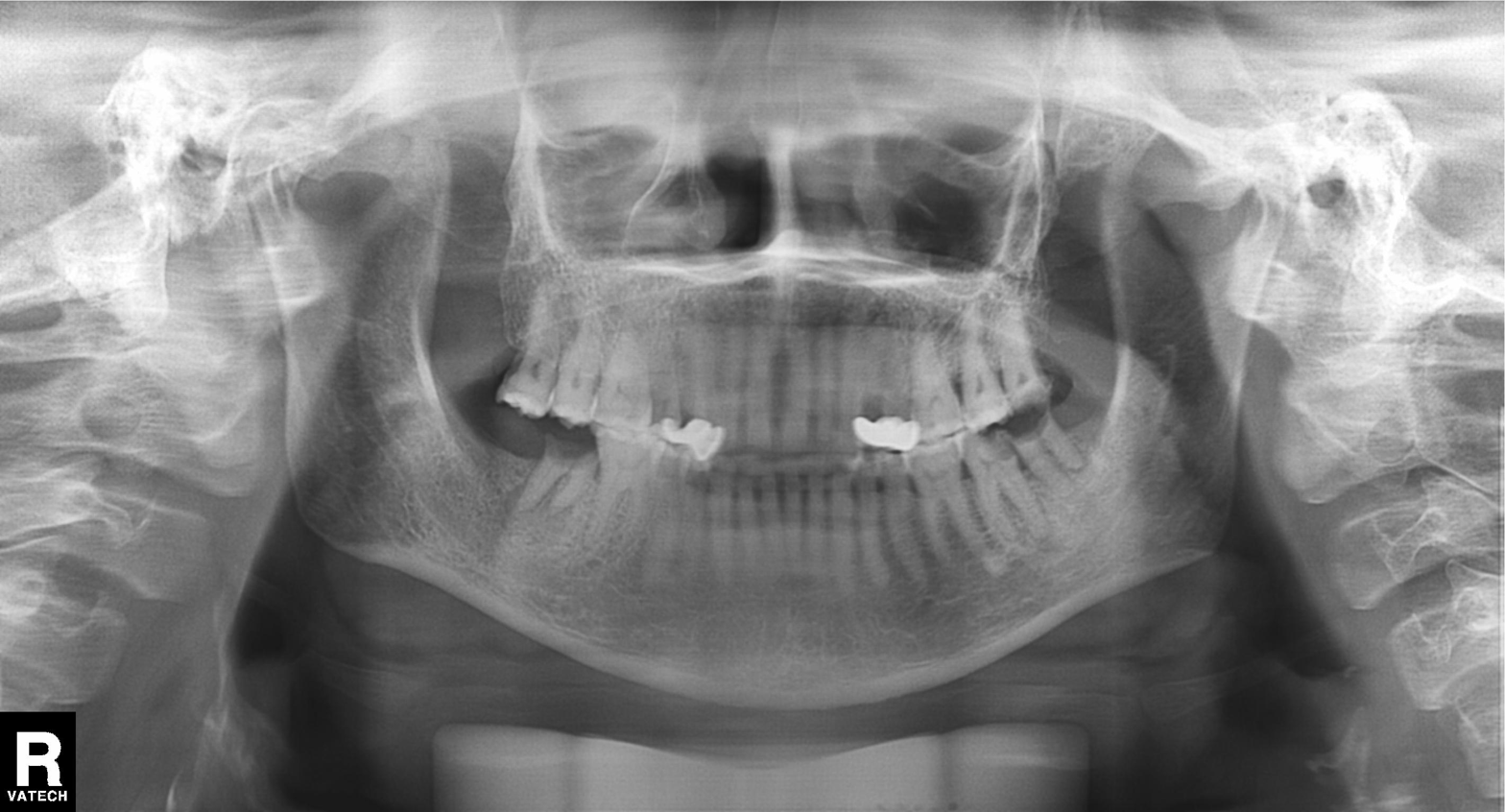
– modality · panoramic dental radiograph (orthopantomogram)
– finding · alveolar bone loss